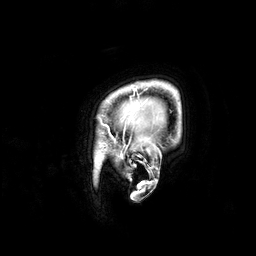
<case>
  <modality>
    <type>brain MRI</type>
    <field_strength>3T</field_strength>
  </modality>
  <series>3D T1-weighted</series>
  <study_topic>ring-enhancing brain masses</study_topic>
</case>